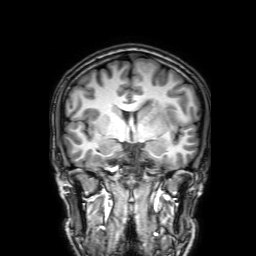
| field | value |
|---|---|
| modality | 3 Tesla brain MRI |
| series | 3D T1-weighted with SENSE |
| study | ring-enhancing brain masses |